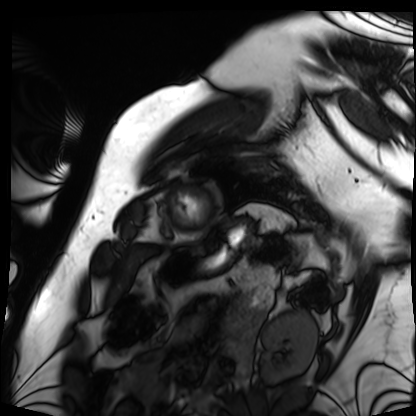
| field | value |
|---|---|
| modality | cardiac MRI |
| subject group | patient |